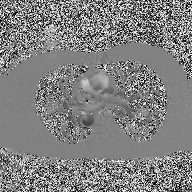
modality — 2D phase-contrast cine MRI of the ascending aorta.